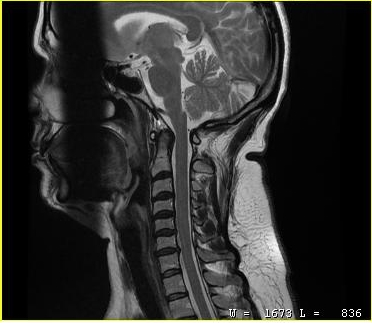
{"modality": {"type": "cervical spine MRI"}, "study_topic": "cervical spondylosis"}